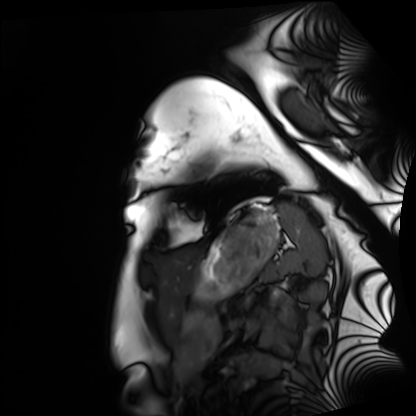
Q: What kind of scan is this?
A: Cardiac MRI.
Subject group: healthy volunteer.